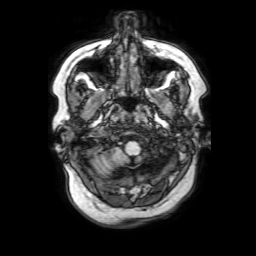
modality: 3 Tesla brain MRI | series: 3D T1-weighted with SENSE | study: ring-enhancing brain masses.